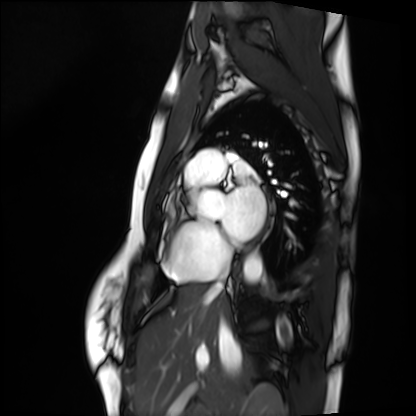
Clinical context:
Cardiac MRI. Subject group: healthy volunteer.